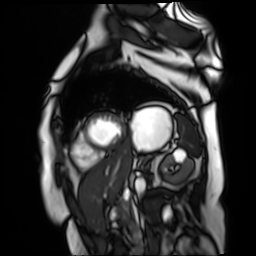
Cardiac MR image of the myocardium.
Subject cohort: cardiac patient.